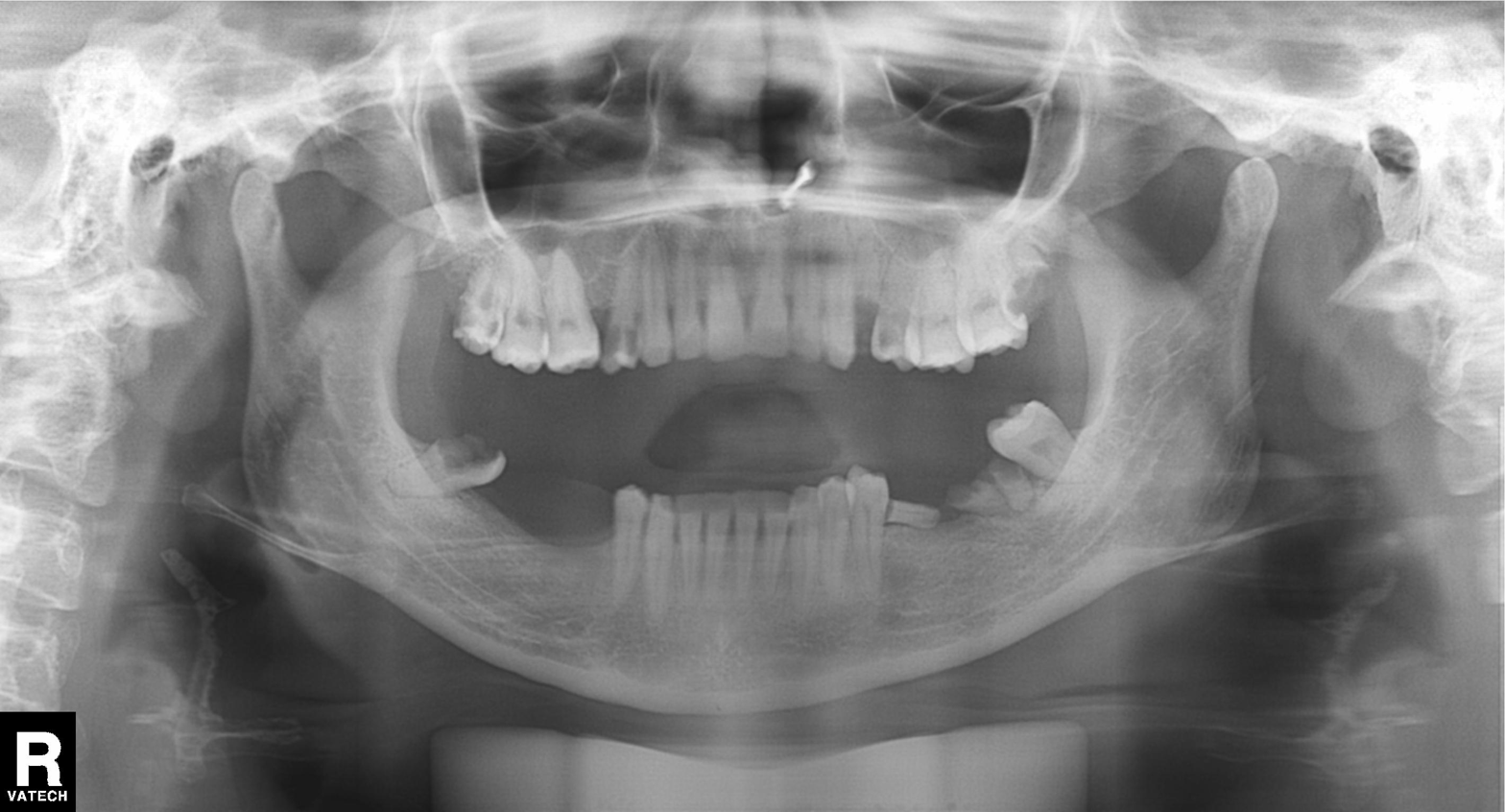
Panoramic dental radiograph (orthopantomogram).
Finding: alveolar bone loss.